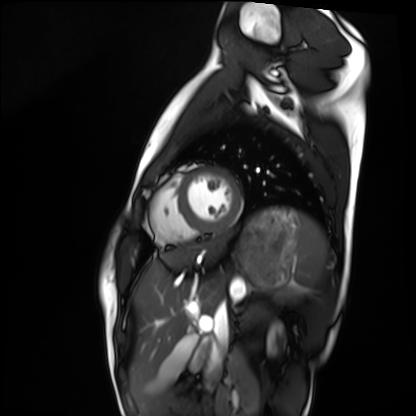
Cardiac MRI.
Subject group: healthy volunteer.